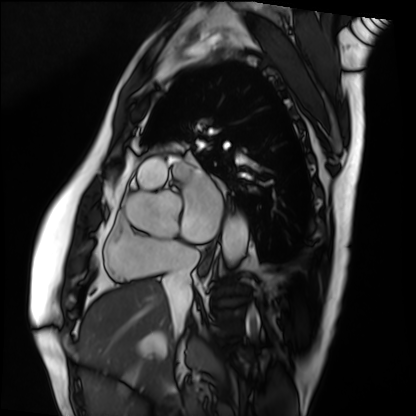
modality = cardiac MRI, subject group = patient.